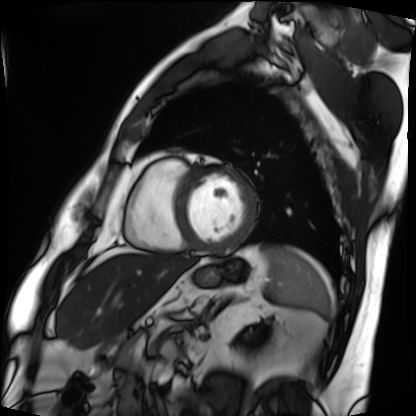
modality: cardiac MRI | subject group: patient.